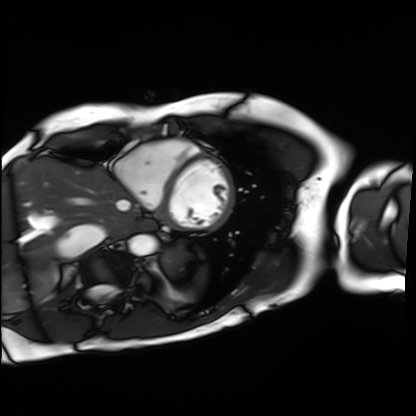
Cardiac MRI. Subject group: patient.